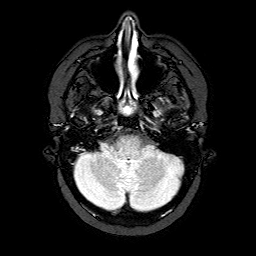
* modality: 3 Tesla brain MRI
* series: FLAIR with SPAIR
* study: ring-enhancing brain masses